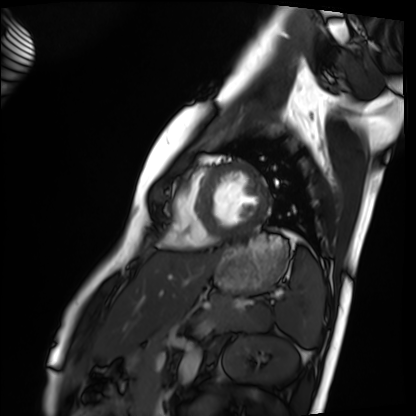
Cardiac MRI.
Subject group: healthy volunteer.